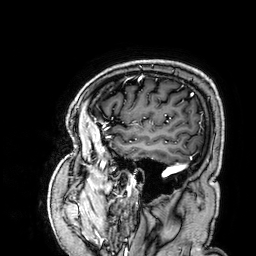
| field | value |
|---|---|
| modality | 3 Tesla brain MRI |
| series | 3D T1-weighted |
| study | ring-enhancing brain masses |